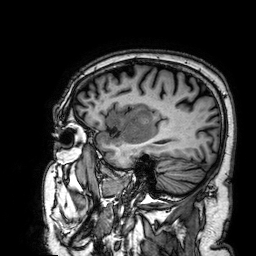
3 Tesla brain MRI. Series: 3D T1-weighted. Study: ring-enhancing brain masses.